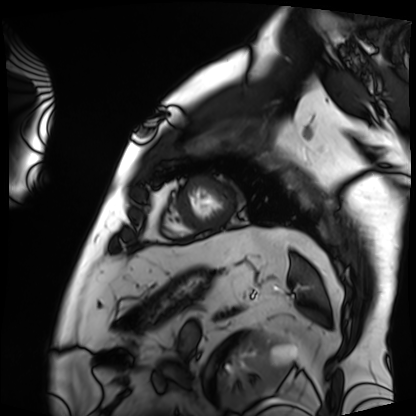
modality: cardiac MRI | subject group: patient.